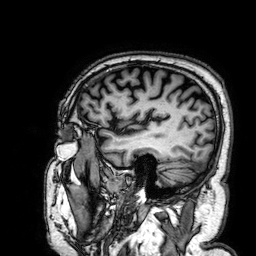
| field | value |
|---|---|
| modality | 3 Tesla brain MRI |
| series | 3D T1-weighted |
| study | ring-enhancing brain masses |